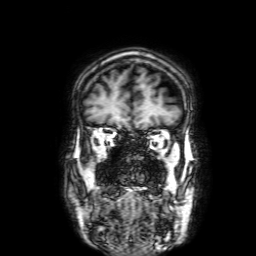
{
  "modality": {
    "type": "brain MRI",
    "field_strength": "3T"
  },
  "series": "3D T1-weighted with SENSE",
  "study_topic": "ring-enhancing brain masses"
}